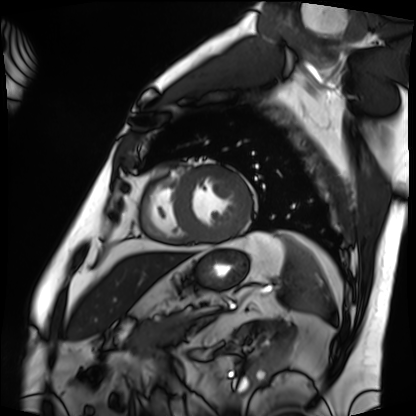
Cardiac MRI. Subject group: patient.